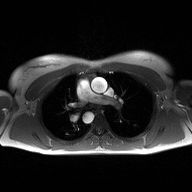
Summary:
2D phase-contrast cine MRI of the ascending aorta, high-resolution GRAPPA acquisition.